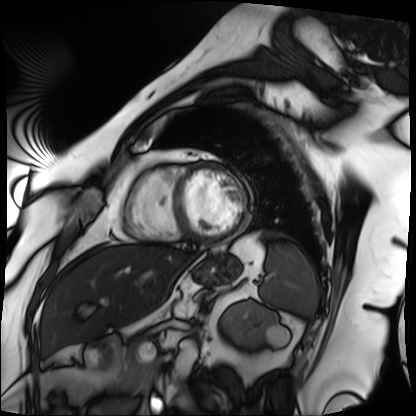
Q: What kind of scan is this?
A: Cardiac MRI.
Subject group: patient.